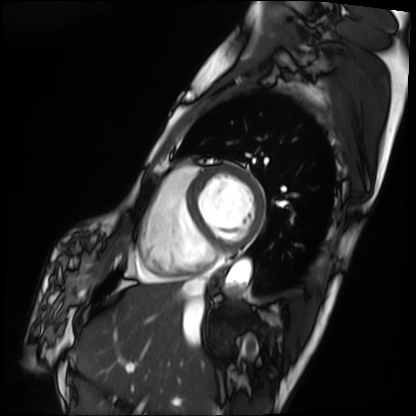
Cardiac MRI.
Subject group: patient.